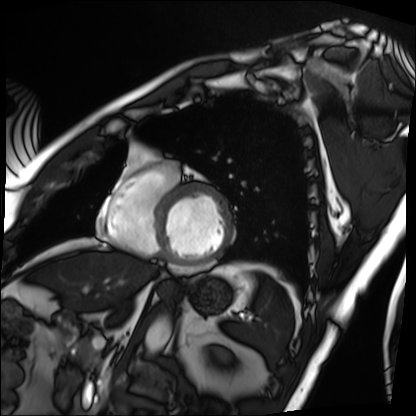
Cardiac MRI. Subject group: patient.